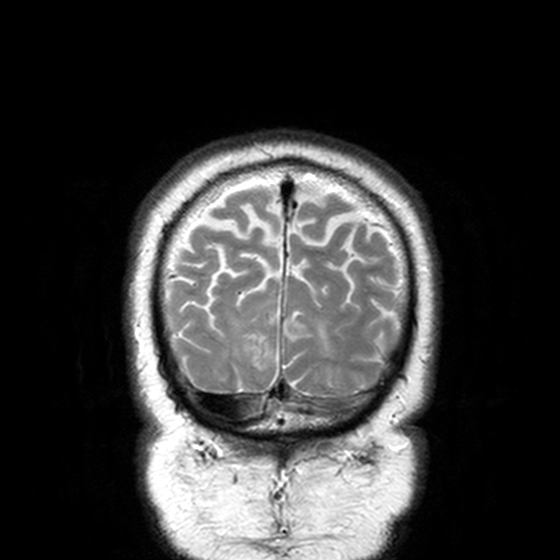
3 Tesla brain MRI. Study: ring-enhancing brain masses.